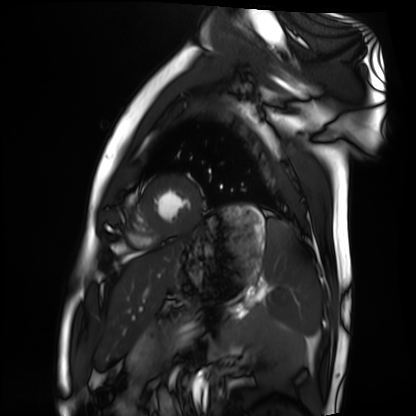
Case:
- modality: cardiac MRI
- subject group: healthy volunteer